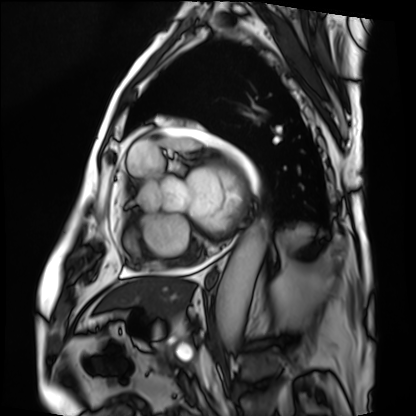
Summary:
Cardiac MRI. Subject group: patient.